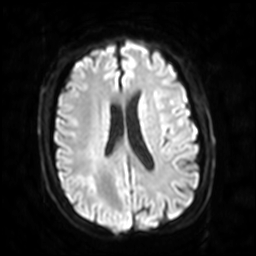
modality — 3 Tesla brain MRI | series — diffusion-weighted imaging with SENSE (WIP) | study — ring-enhancing brain masses.